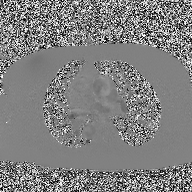
2D phase-contrast cine MRI of the ascending aorta, high-resolution GRAPPA acquisition.